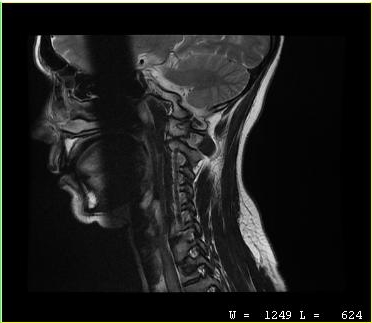
MRI of the cervical spine.
Study: cervical spondylosis.